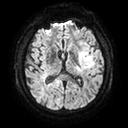
Summary:
3 Tesla brain MRI. Series: diffusion tensor imaging (medium iso). Study: ring-enhancing brain masses.